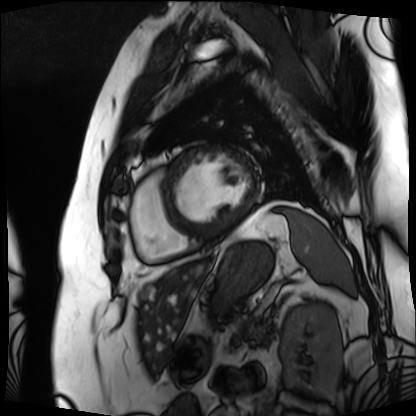
<scan>
  <modality>cardiac MRI</modality>
  <cohort>patient</cohort>
</scan>